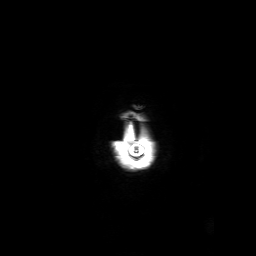
3 Tesla brain MRI.
Series: 3D T1-weighted with SENSE.
Study: ring-enhancing brain masses.